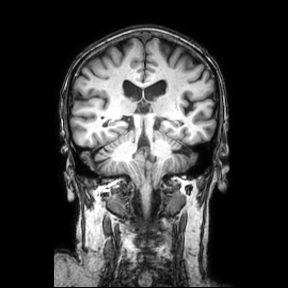
Q: What kind of scan is this?
A: 3 Tesla brain MRI.
Q: Series?
A: Coronal.
Study: ring-enhancing brain masses.